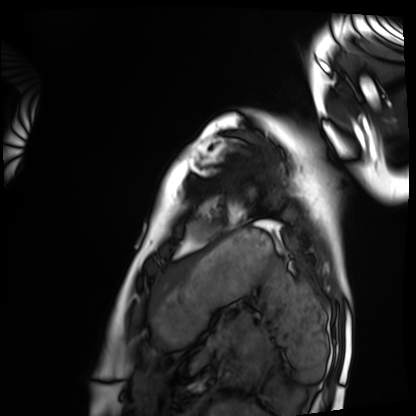
Cardiac MRI.
Subject group: healthy volunteer.